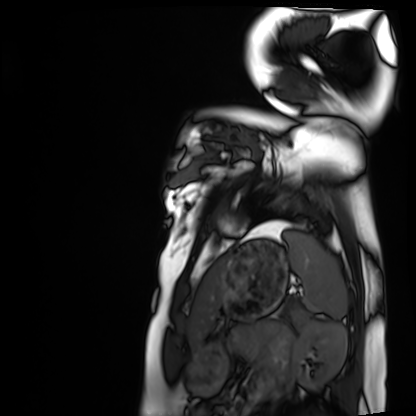
Cardiac MRI.
Subject group: healthy volunteer.